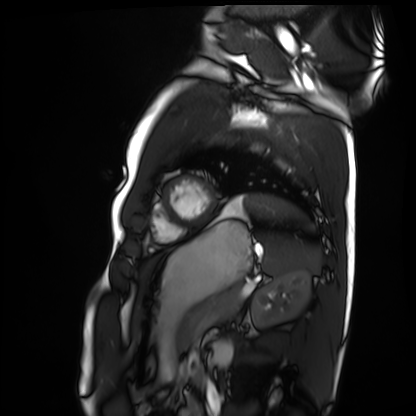
Summary: Cardiac MRI. Subject group: healthy volunteer.